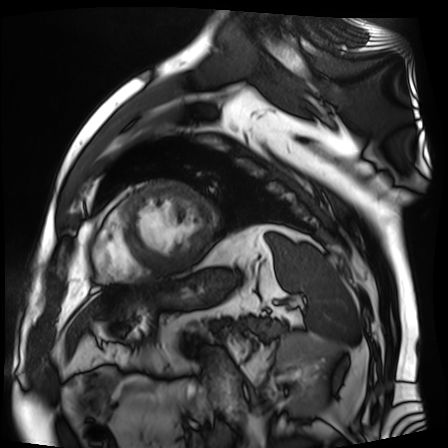
modality = cardiac MR image of the myocardium | subject cohort = cardiac patient.